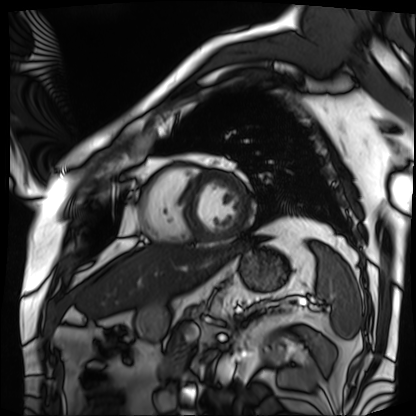
Clinical context: Cardiac MRI. Subject group: patient.